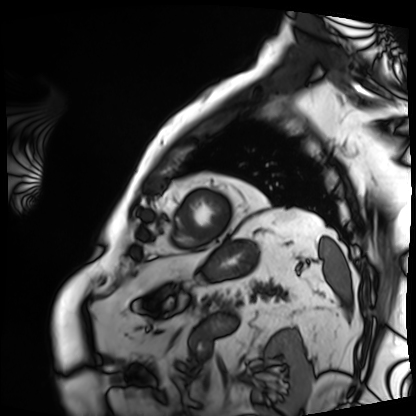
Cardiac MRI. Subject group: patient.